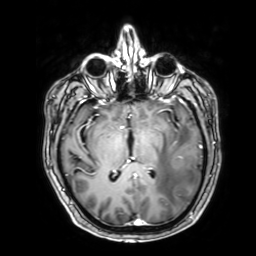
Q: What kind of scan is this?
A: 3 Tesla brain MRI.
Q: Series?
A: 3D T1-weighted with SENSE.
Study: ring-enhancing brain masses.